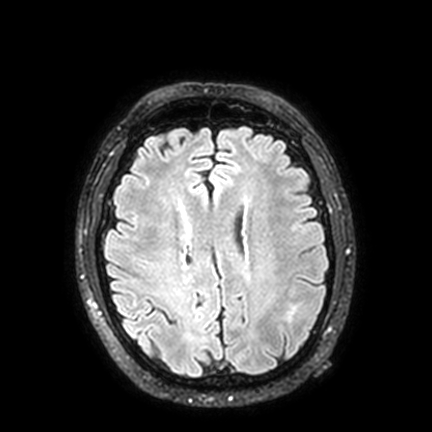
3 Tesla brain MRI.
Series: FLAIR VISTA with SENSE.
Study: ring-enhancing brain masses.